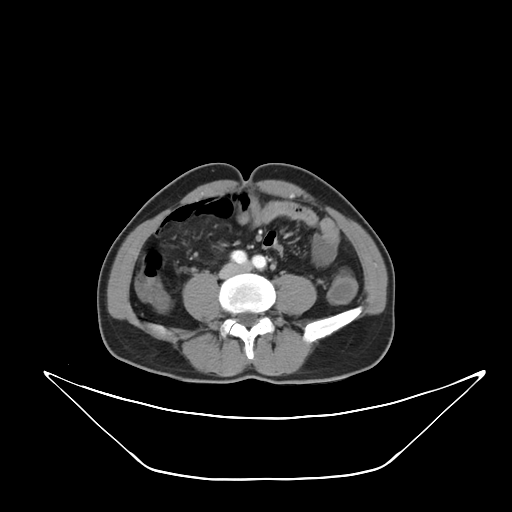
modality: multiphase abdominal CT, liver, arterial phase
patient: male, age 56